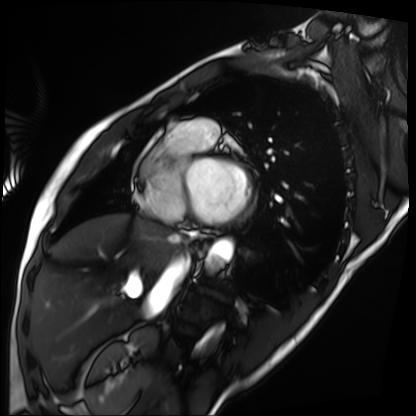
modality=cardiac MRI | subject group=patient.